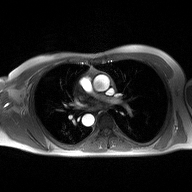
| field | value |
|---|---|
| modality | 2D phase-contrast cine MRI of the ascending aorta |